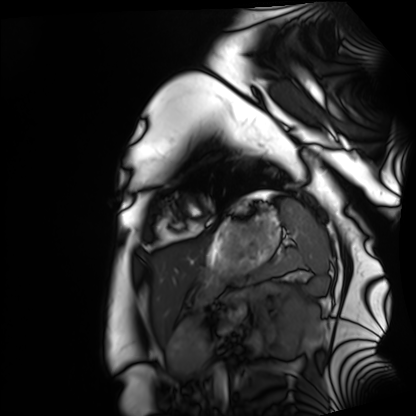
Summary: Cardiac MRI. Subject group: healthy volunteer.